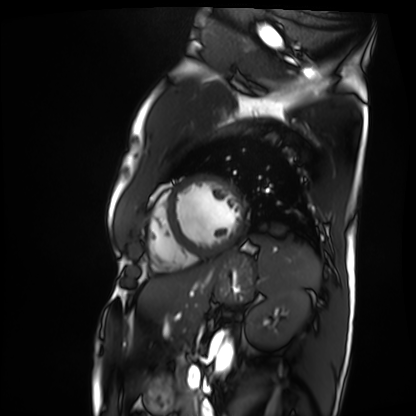
modality: cardiac MRI
cohort: patient